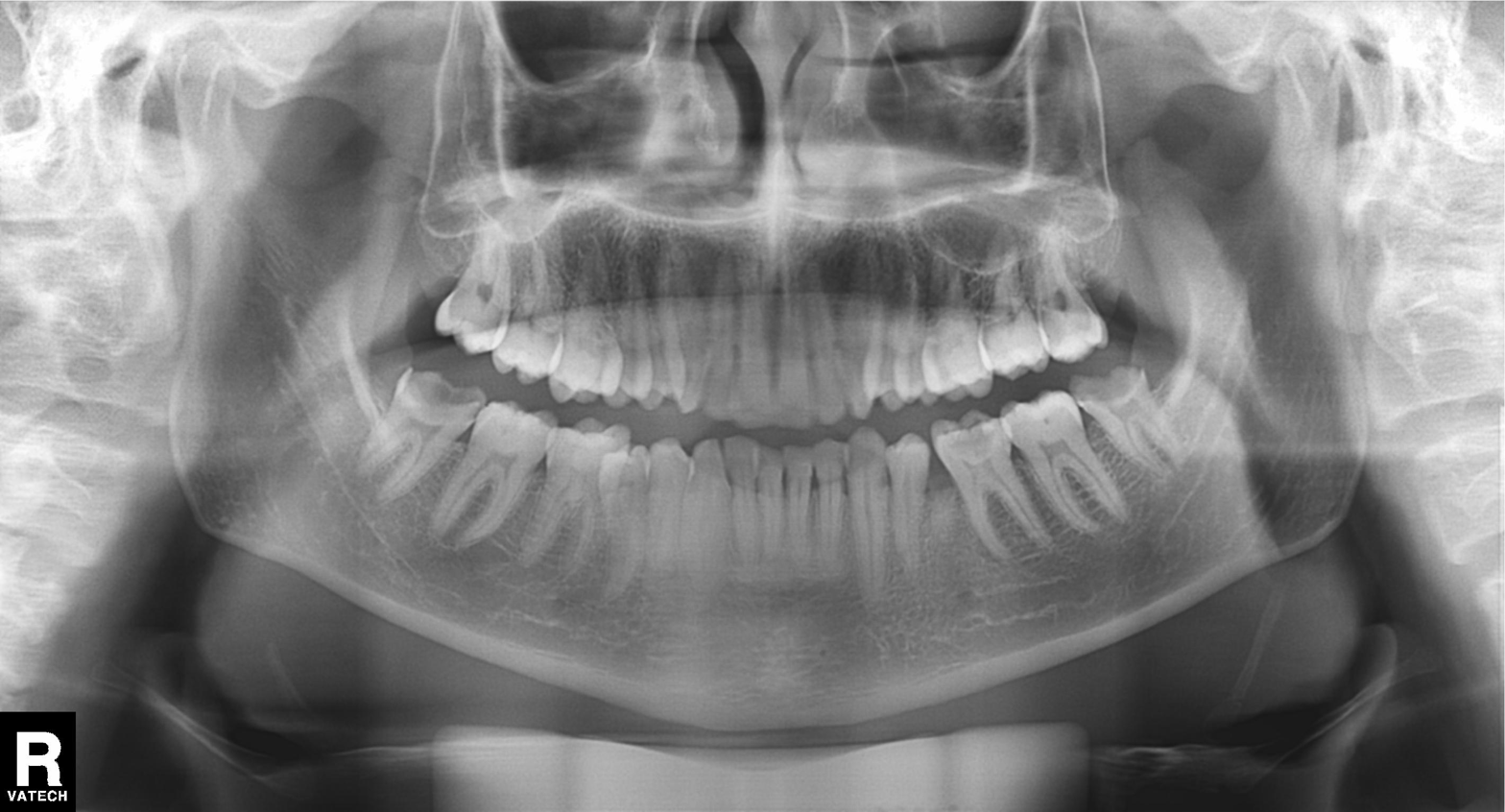
| field | value |
|---|---|
| modality | panoramic dental radiograph (orthopantomogram) |
| finding | tooth impaction |